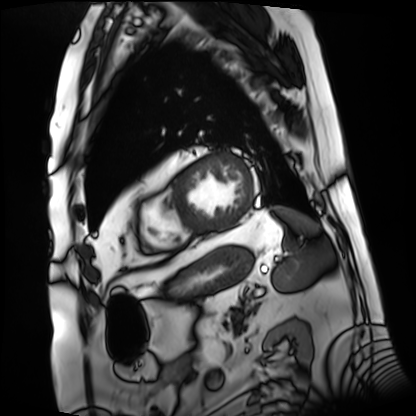
Clinical context: Cardiac MRI. Subject group: patient.